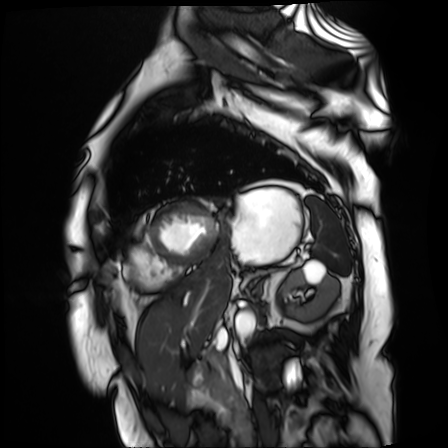
Cardiac MR image of the myocardium. Subject cohort: cardiac patient.